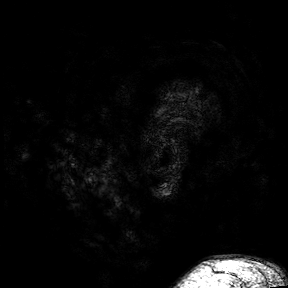
{
  "modality": {
    "type": "brain MRI",
    "field_strength": "3T"
  },
  "series": "3D T1-weighted turbo field echo with SENSE",
  "study_topic": "ring-enhancing brain masses"
}